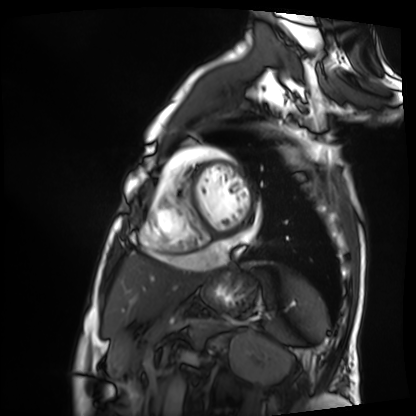
Q: What kind of scan is this?
A: Cardiac MRI.
Subject group: patient.